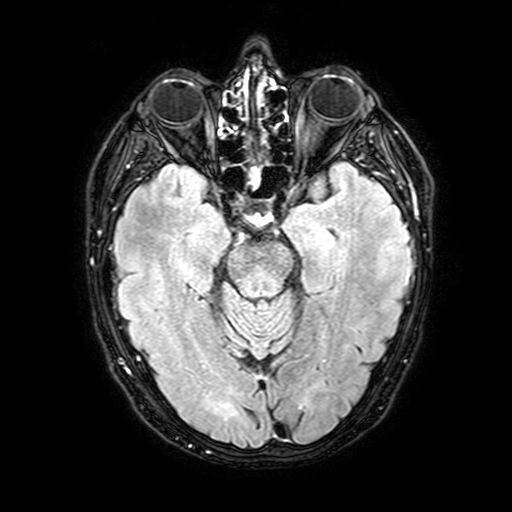
3 Tesla brain MRI.
Series: FLAIR with SPAIR, 3 mm.
Study: ring-enhancing brain masses.